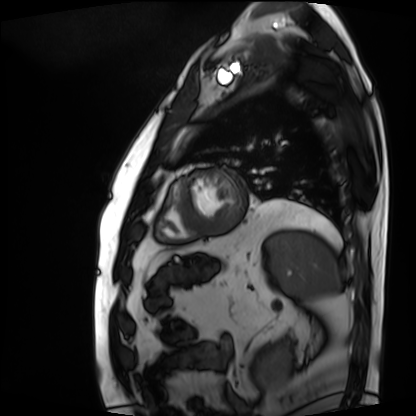
{
  "modality": "cardiac MRI",
  "cohort": "patient"
}